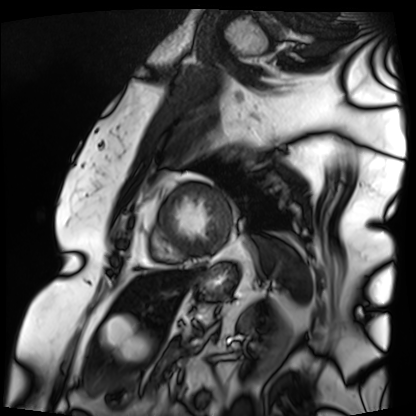
Cardiac MRI.
Subject group: patient.